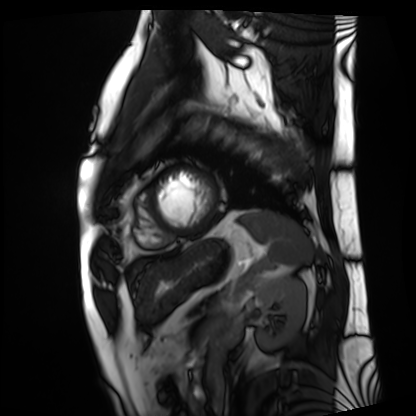
– modality: cardiac MRI
– subject group: patient